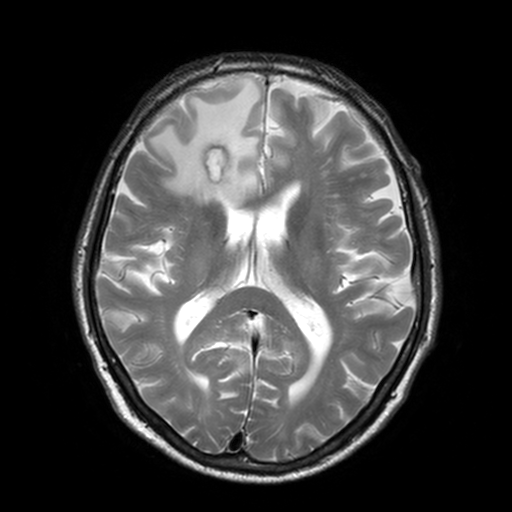
3 Tesla brain MRI. Series: T2-weighted turbo spin echo, 3 mm. Study: ring-enhancing brain masses.